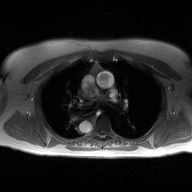
2D phase-contrast cine MRI of the ascending aorta, high-resolution GRAPPA acquisition.